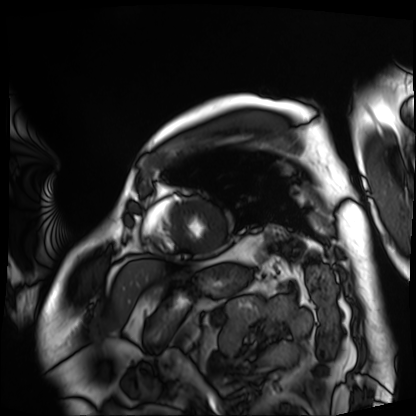
Summary:
Cardiac MRI. Subject group: patient.